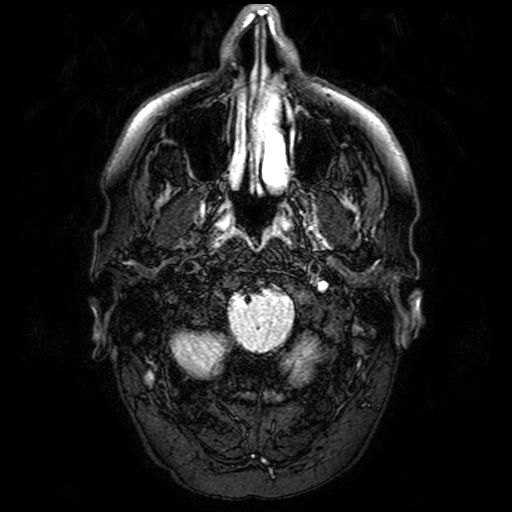
modality=3 Tesla brain MRI
series=FLAIR with SPAIR
study=ring-enhancing brain masses